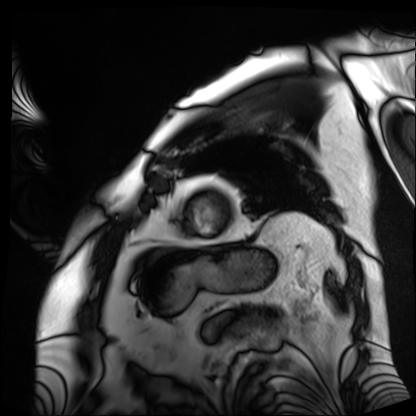
modality: cardiac MRI
cohort: patient